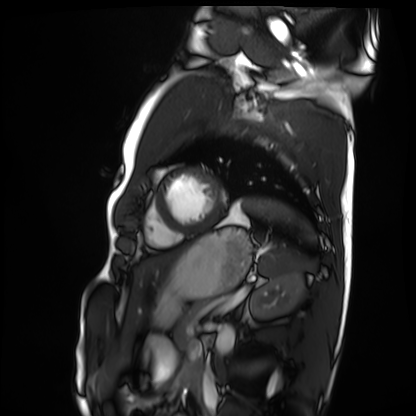
Q: What kind of scan is this?
A: Cardiac MRI.
Subject group: healthy volunteer.